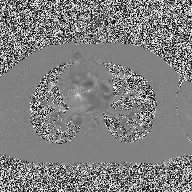
– modality · 2D phase-contrast cine MRI of the ascending aorta